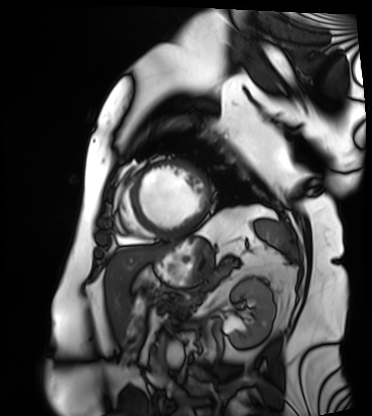
  modality: cardiac MRI
  cohort: patient